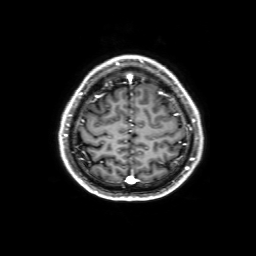
3 Tesla brain MRI.
Series: 3D T1-weighted with SENSE.
Study: ring-enhancing brain masses.